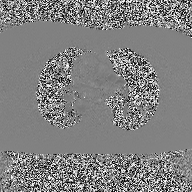
2D phase-contrast cine MRI of the ascending aorta, high-resolution GRAPPA acquisition.